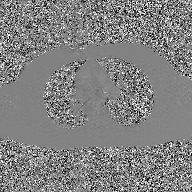
modality=2D phase-contrast cine MRI of the ascending aorta, GAN super-resolution reconstruction.